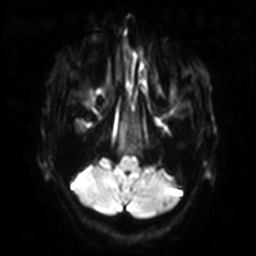
- modality · 3 Tesla brain MRI
- series · diffusion-weighted imaging with SENSE (WIP)
- study · ring-enhancing brain masses